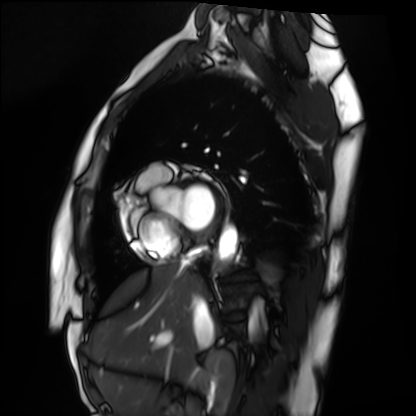
| field | value |
|---|---|
| modality | cardiac MRI |
| subject group | healthy volunteer |